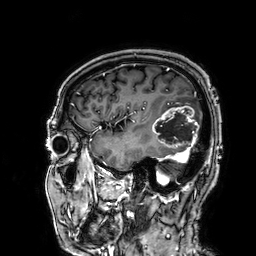
3 Tesla brain MRI.
Series: 3D T1-weighted.
Study: ring-enhancing brain masses.